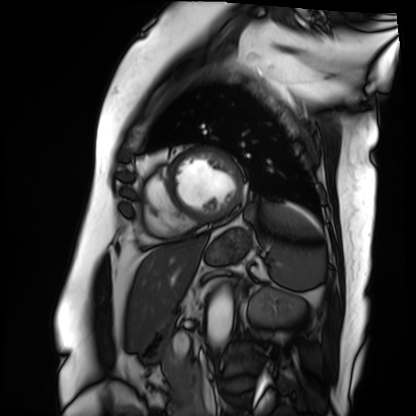
Cardiac MRI.
Subject group: patient.